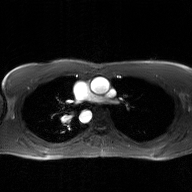
| field | value |
|---|---|
| modality | 2D phase-contrast cine MRI of the ascending aorta, GAN super-resolution reconstruction |